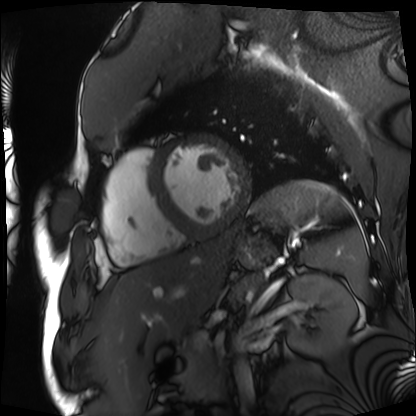
– modality · cardiac MRI
– subject group · patient